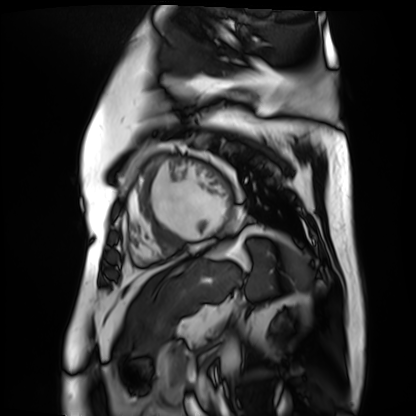
  modality: cardiac MR image of the myocardium
  cohort: cardiac patient